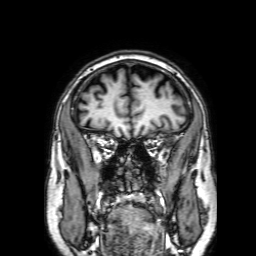
– modality · 3 Tesla brain MRI
– series · 3D T1-weighted with SENSE
– study · ring-enhancing brain masses